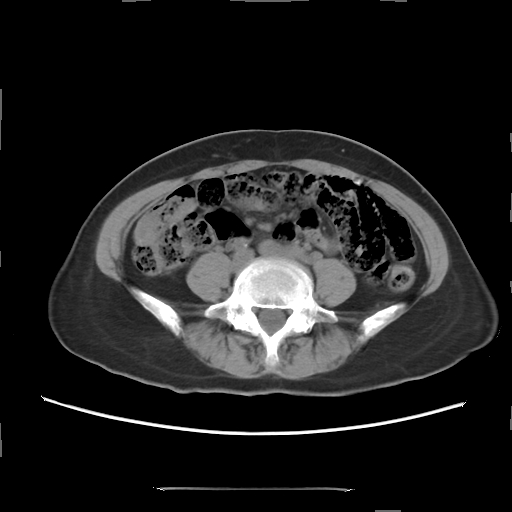
Clinical context: Multiphase abdominal CT, liver, non-contrast phase. Patient: female, age 56.